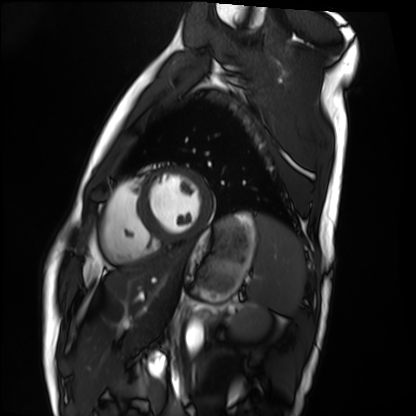
Case:
• modality — cardiac MRI
• subject group — healthy volunteer